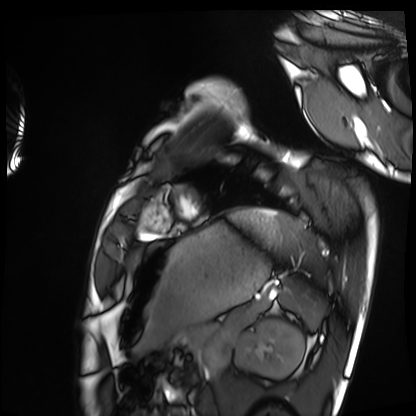
Cardiac MRI. Subject group: healthy volunteer.